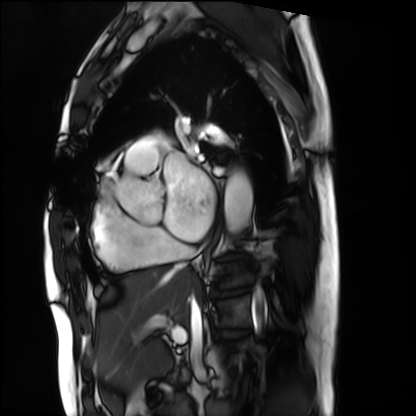
* modality — cardiac MRI
* subject group — patient